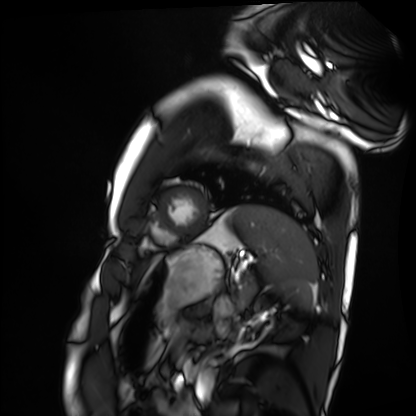
{"modality": "cardiac MRI", "cohort": "healthy volunteer"}